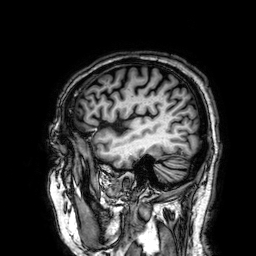
3 Tesla brain MRI.
Series: 3D T1-weighted.
Study: ring-enhancing brain masses.